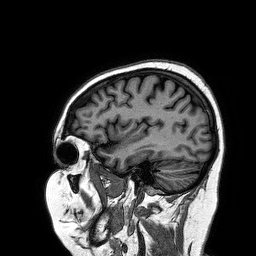
Case summary:
3 Tesla brain MRI. Series: 3D T1-weighted turbo field echo. Study: ring-enhancing brain masses.